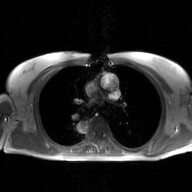
{
  "modality": {
    "type": "2D phase-contrast cine MRI",
    "region": "ascending aorta",
    "reconstruction": "GAN super-resolution reconstruction"
  }
}